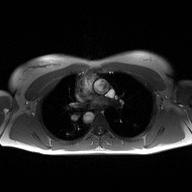
{"modality": {"type": "2D phase-contrast cine MRI", "region": "ascending aorta", "reconstruction": "high-resolution GRAPPA acquisition"}}